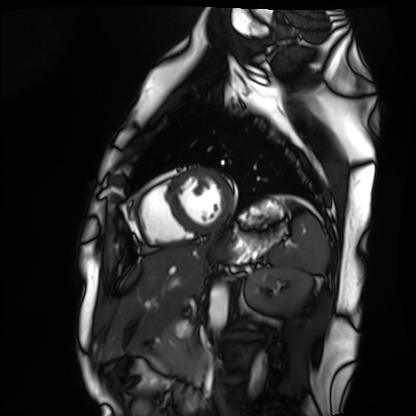
modality: cardiac MRI, subject group: healthy volunteer.